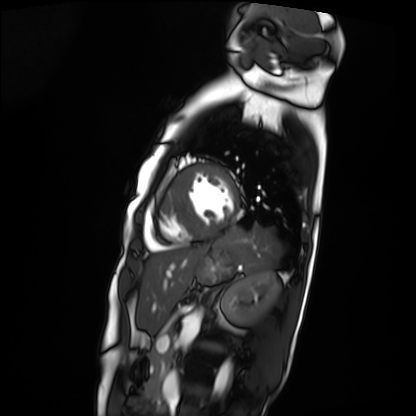
Cardiac MRI. Subject group: patient.